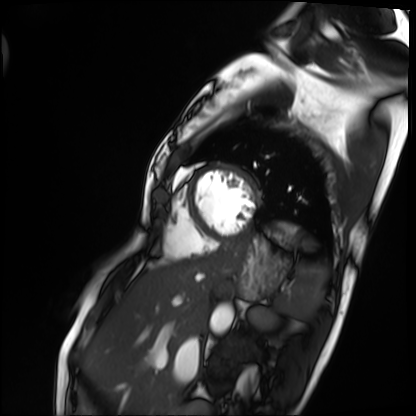
Summary:
Cardiac MRI. Subject group: patient.